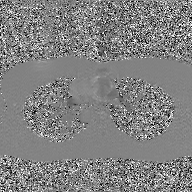
<scan>
<modality>
  <type>2D phase-contrast cine MRI</type>
  <region>ascending aorta</region>
  <reconstruction>GAN super-resolution reconstruction</reconstruction>
</modality>
</scan>